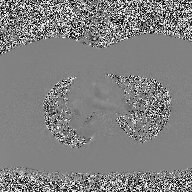
<record>
  <modality>
    <type>2D phase-contrast cine MRI</type>
    <region>ascending aorta</region>
    <reconstruction>high-resolution GRAPPA acquisition</reconstruction>
  </modality>
</record>